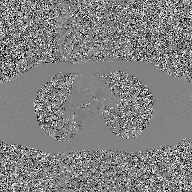
| field | value |
|---|---|
| modality | 2D phase-contrast cine MRI of the ascending aorta, GAN super-resolution reconstruction |